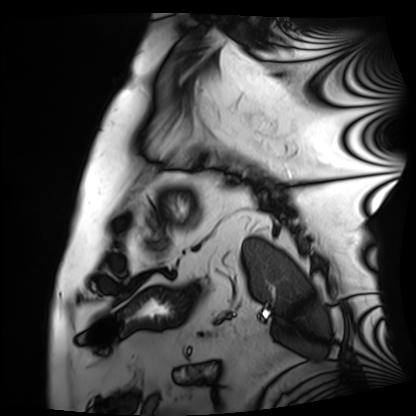
{
  "modality": "cardiac MRI",
  "cohort": "patient"
}